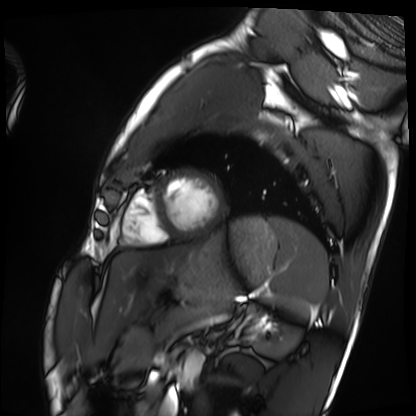
Cardiac MRI. Subject group: healthy volunteer.